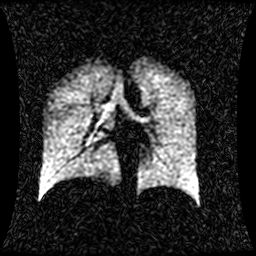
* modality — hyperpolarized 129Xe ventilation MRI of the lungs
* SNR level — 1 of 8 (the deposit holds this scan as its native image and as seven SNR-degraded versions)